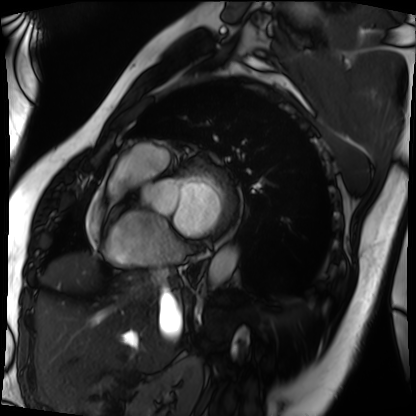
{"modality": "cardiac MRI", "cohort": "patient"}